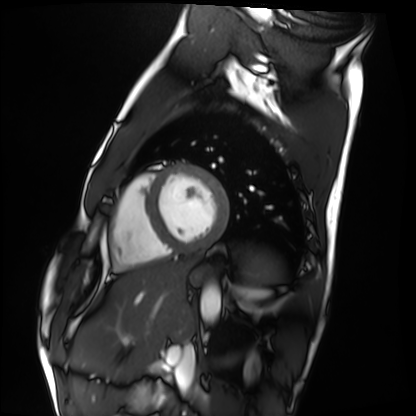
{"modality": "cardiac MRI", "cohort": "healthy volunteer"}